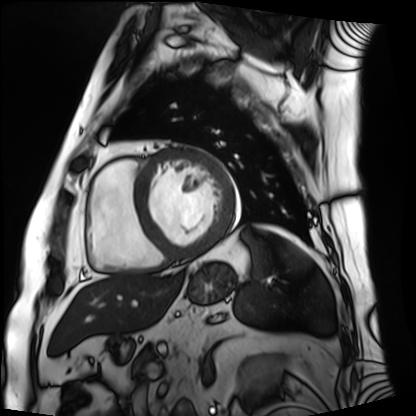
Cardiac MRI.
Subject group: patient.